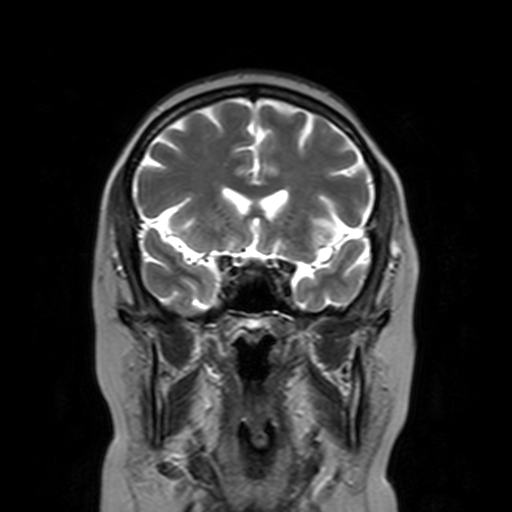
– modality — 3 Tesla brain MRI
– series — T2-weighted turbo spin echo with SENSE
– study — ring-enhancing brain masses